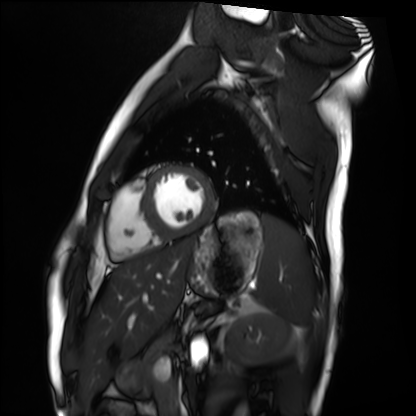
Summary:
Cardiac MRI. Subject group: healthy volunteer.